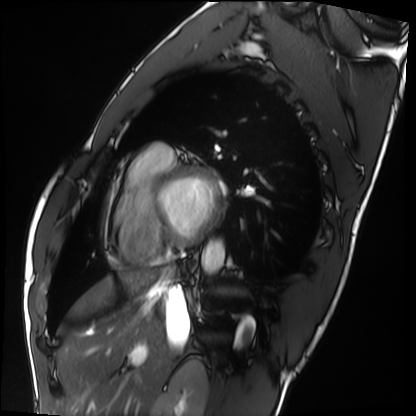
Cardiac MRI.
Subject group: healthy volunteer.